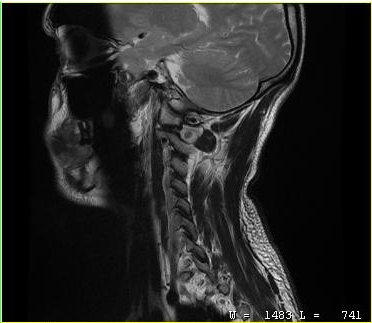
Q: What kind of scan is this?
A: MRI of the cervical spine.
Study: cervical spondylosis.